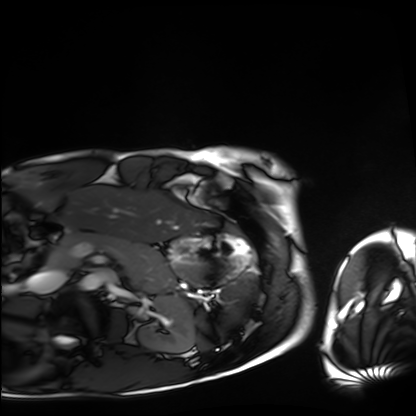
modality = cardiac MRI
subject group = healthy volunteer